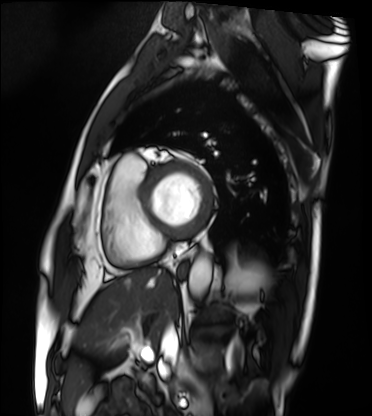
Q: What kind of scan is this?
A: Cardiac MRI.
Subject group: patient.